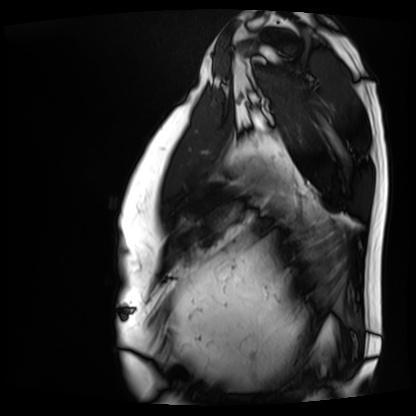
Cardiac MRI. Subject group: patient.